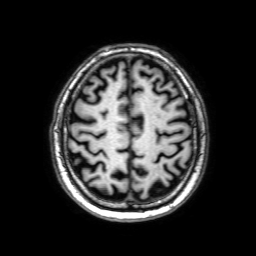
modality=3 Tesla brain MRI
series=3D T1-weighted with SENSE
study=ring-enhancing brain masses